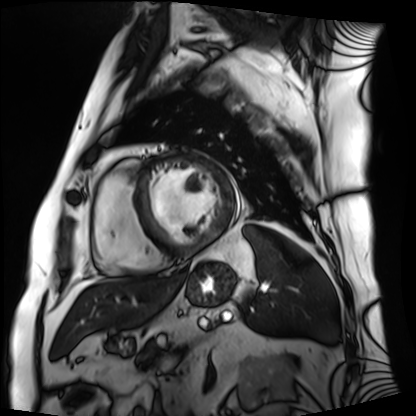
Summary:
Cardiac MRI. Subject group: patient.